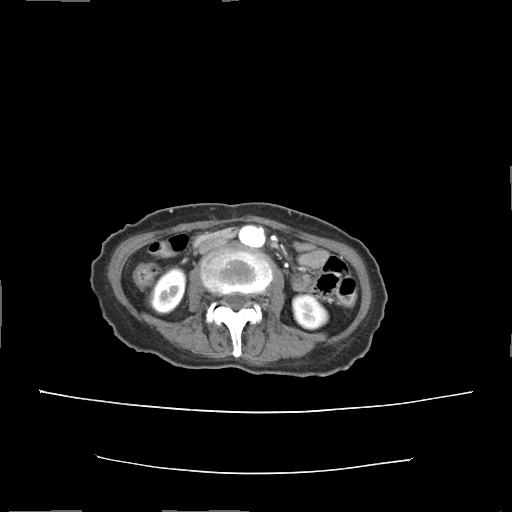
Q: What kind of scan is this?
A: Multiphase abdominal CT, liver, arterial phase.
Q: Patient?
A: Female, age 55.
Q: History?
A: Prior chemotherapy.